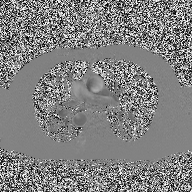
Case:
- modality — 2D phase-contrast cine MRI of the ascending aorta